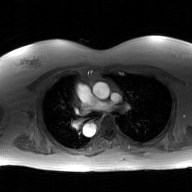
2D phase-contrast cine MRI of the ascending aorta, GAN super-resolution reconstruction.